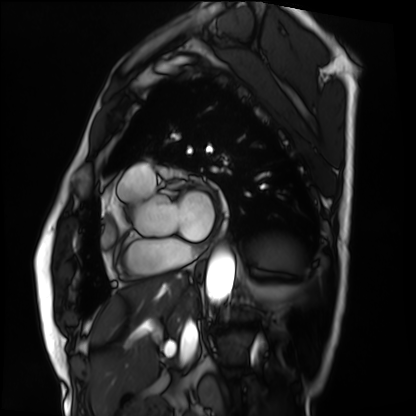
Summary:
Cardiac MRI. Subject group: patient.